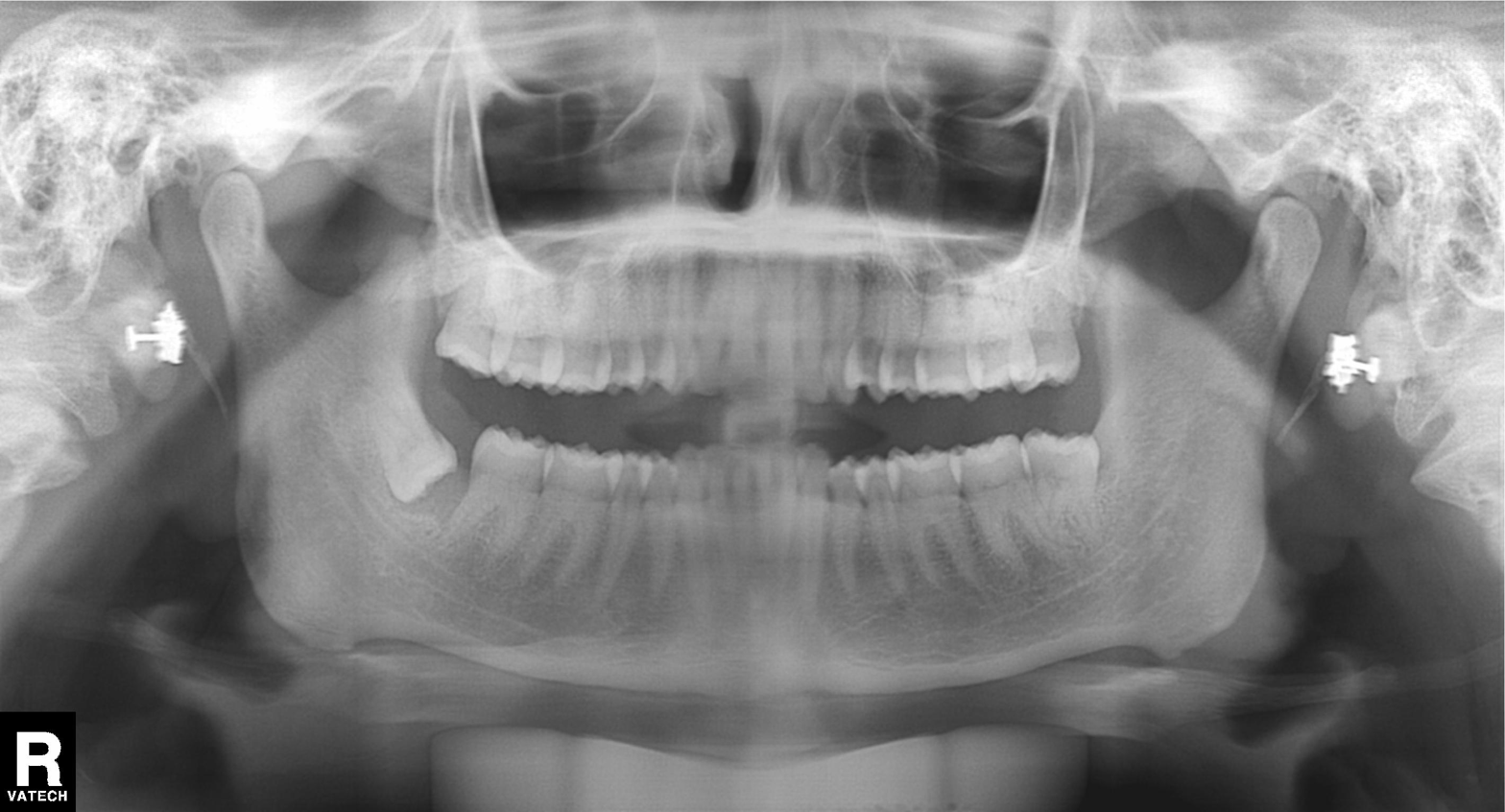
Panoramic dental radiograph (orthopantomogram). Finding: dental caries (cavities).